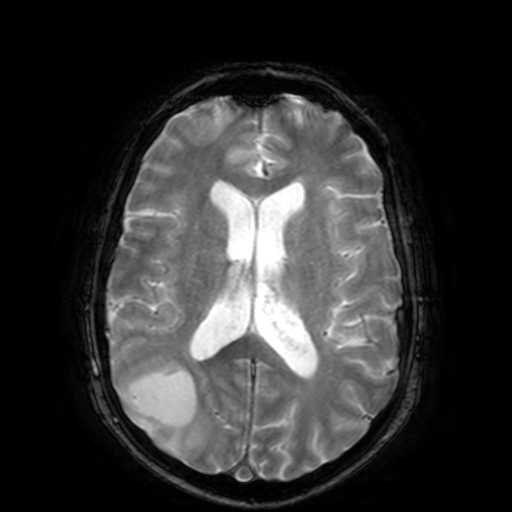
Summary: 3 Tesla brain MRI. Series: T2-weighted fast field echo. Study: ring-enhancing brain masses.